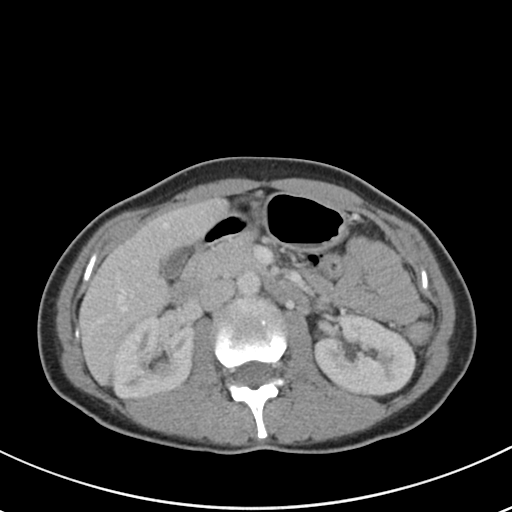
Multiphase abdominal CT, liver, portal venous phase. Patient: female, age 36.